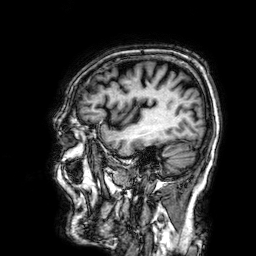
3 Tesla brain MRI.
Series: 3D T1-weighted.
Study: ring-enhancing brain masses.